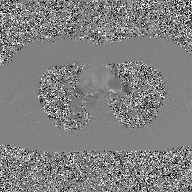
• modality: 2D phase-contrast cine MRI of the ascending aorta, GAN super-resolution reconstruction